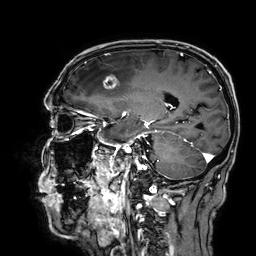
3 Tesla brain MRI. Series: 3D T1-weighted. Study: ring-enhancing brain masses.